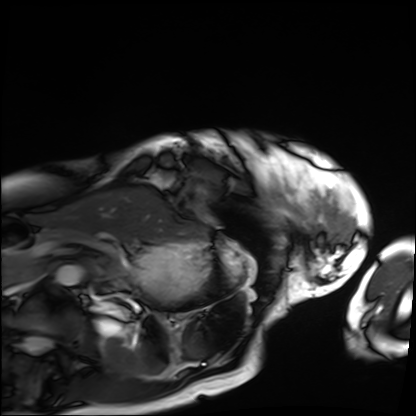
{
  "modality": "cardiac MRI",
  "cohort": "patient"
}